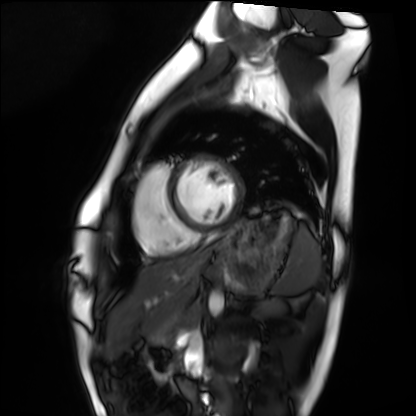
Summary: Cardiac MRI. Subject group: healthy volunteer.